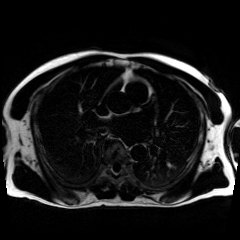
modality: chemical-shift-encoded cardiac MRI